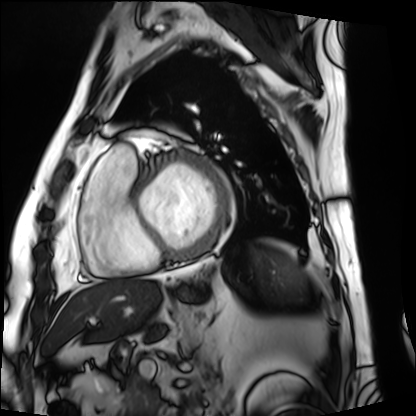
  modality: cardiac MRI
  cohort: patient